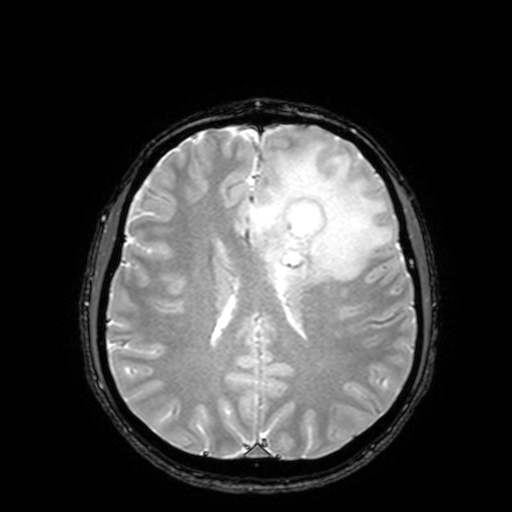
3 Tesla brain MRI.
Series: T2-weighted fast field echo with SENSE.
Study: ring-enhancing brain masses.